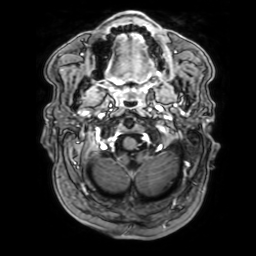
3 Tesla brain MRI.
Series: 3D T1-weighted with SENSE.
Study: ring-enhancing brain masses.